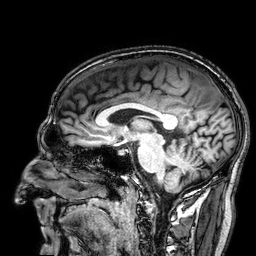
3 Tesla brain MRI.
Series: 3D T1-weighted.
Study: ring-enhancing brain masses.